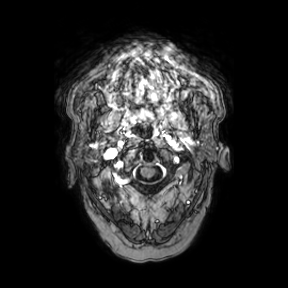
modality:
  type: brain MRI
  field_strength: 3T
series: axial
study_topic: ring-enhancing brain masses